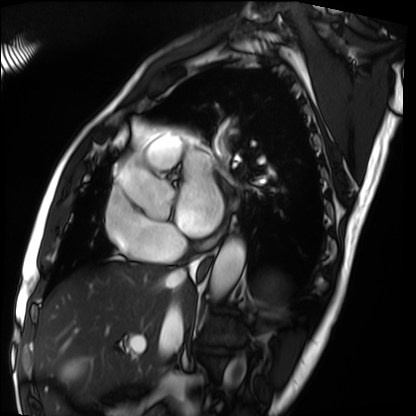
Cardiac MRI. Subject group: patient.